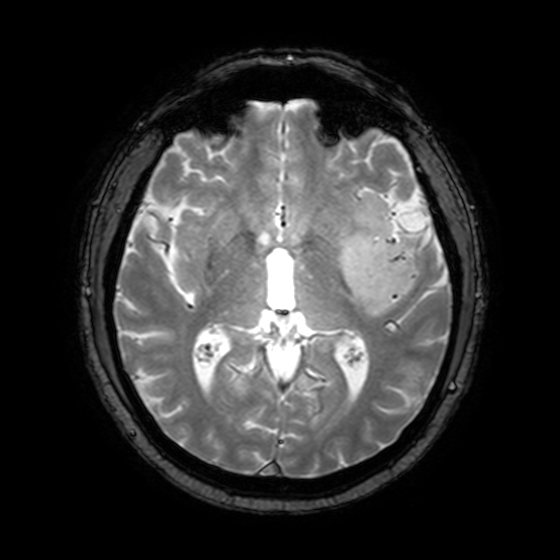
Q: What kind of scan is this?
A: 3 Tesla brain MRI.
Q: Series?
A: T2-weighted fast field echo with SENSE.
Study: ring-enhancing brain masses.